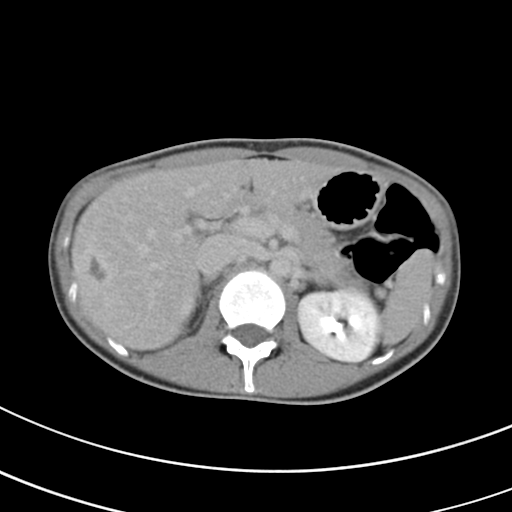
<record>
<modality>
  <type>multiphase abdominal CT</type>
  <region>liver</region>
  <phase>delayed</phase>
</modality>
<patient>
  <sex>female</sex>
  <age>27</age>
</patient>
</record>